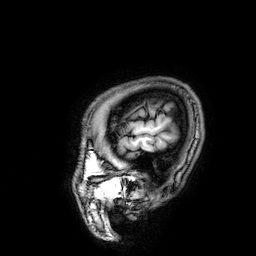
modality: 3 Tesla brain MRI; series: 3D T1-weighted; study: ring-enhancing brain masses.